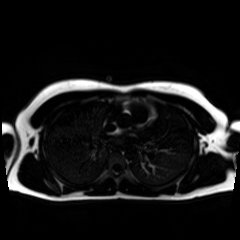
Chemical-shift-encoded cardiac MRI.